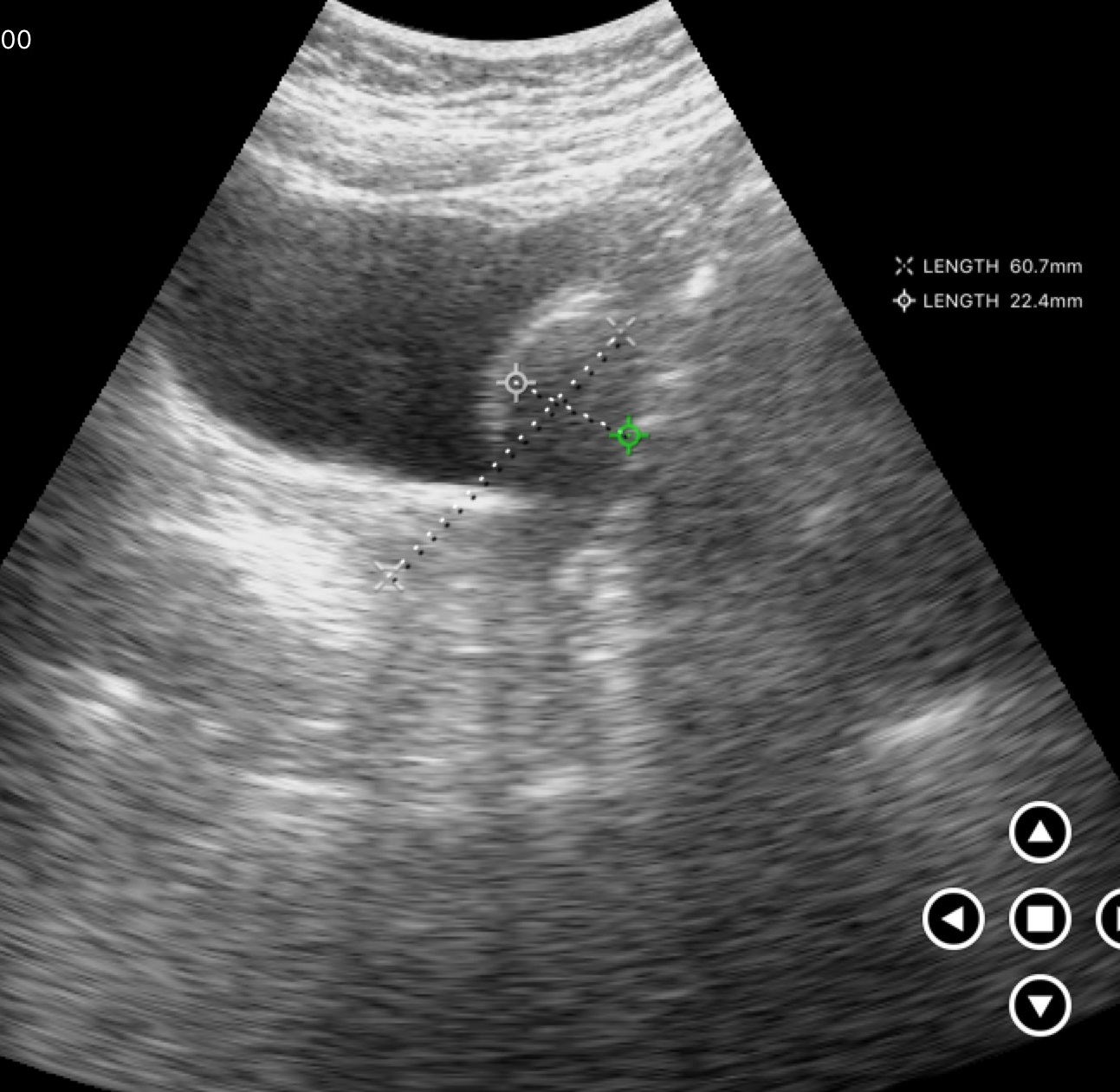
* modality — genitourinary ultrasound